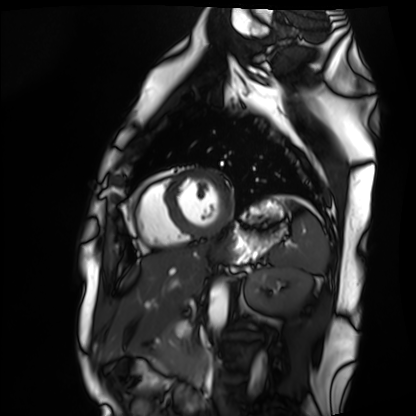
Summary: Cardiac MRI. Subject group: healthy volunteer.